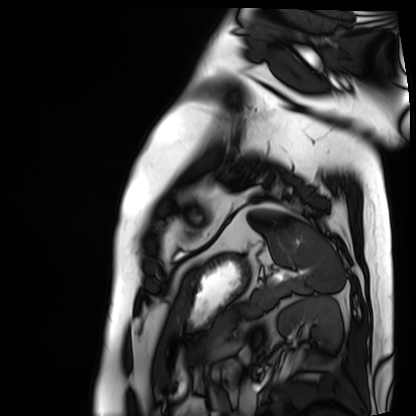
• modality · cardiac MRI
• subject group · patient